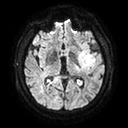
modality:
  type: brain MRI
  field_strength: 3T
series: diffusion tensor imaging (medium iso)
study_topic: ring-enhancing brain masses